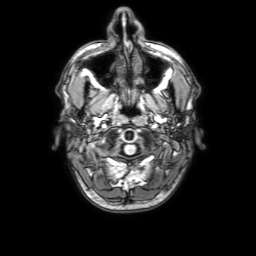
modality: 3 Tesla brain MRI
series: 3D T1-weighted with SENSE
study: ring-enhancing brain masses